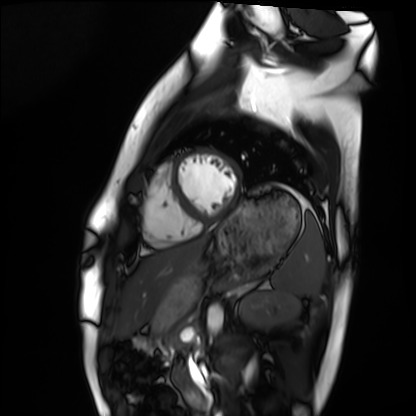
Cardiac MRI. Subject group: healthy volunteer.